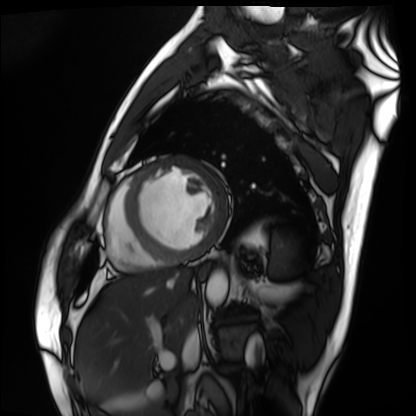
Cardiac MRI. Subject group: patient.